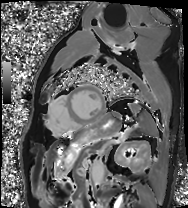
Case summary:
Cardiac MRI. Subject group: patient.